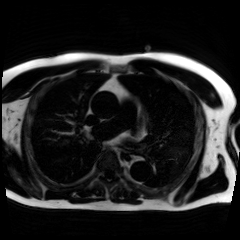
Case summary: Chemical-shift-encoded cardiac MRI.